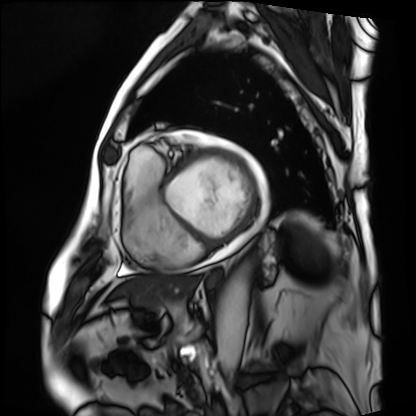
Cardiac MRI.
Subject group: patient.